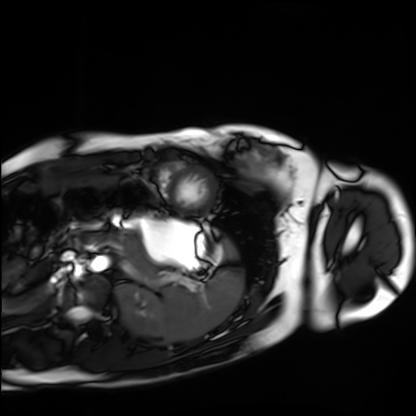
Cardiac MRI. Subject group: healthy volunteer.